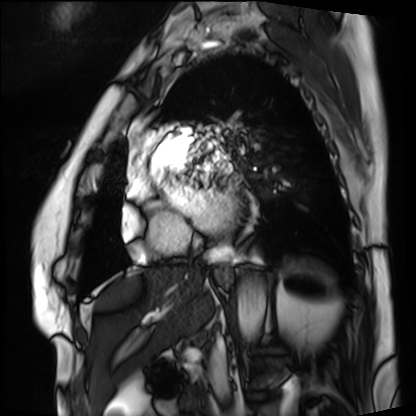
• modality: cardiac MRI
• subject group: patient